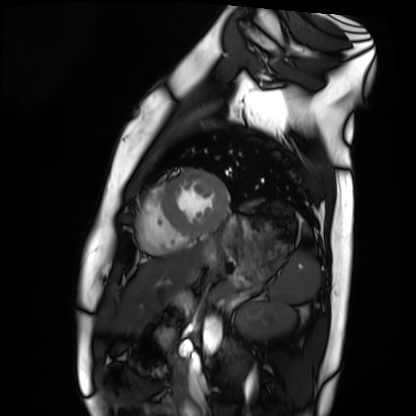
Cardiac MRI.
Subject group: healthy volunteer.